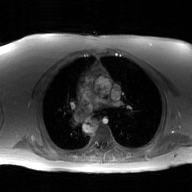
Q: What kind of scan is this?
A: 2D phase-contrast cine MRI of the ascending aorta, GAN super-resolution reconstruction.